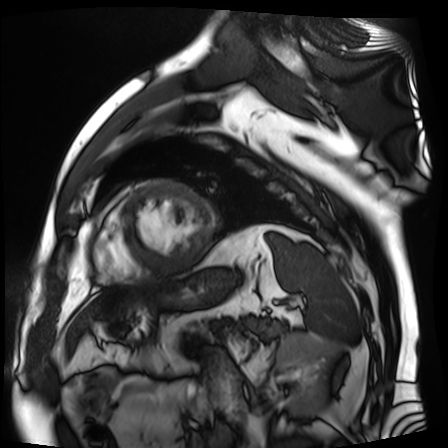
{"modality": "cardiac MR image of the myocardium", "cohort": "cardiac patient"}